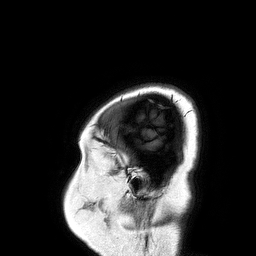
3 Tesla brain MRI. Series: 3D T1-weighted turbo field echo. Study: ring-enhancing brain masses.